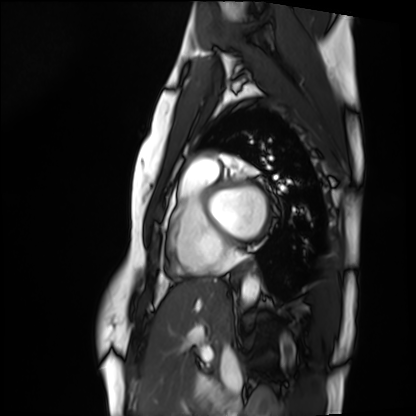
- modality: cardiac MRI
- subject group: healthy volunteer